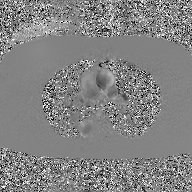
2D phase-contrast cine MRI of the ascending aorta, GAN super-resolution reconstruction.